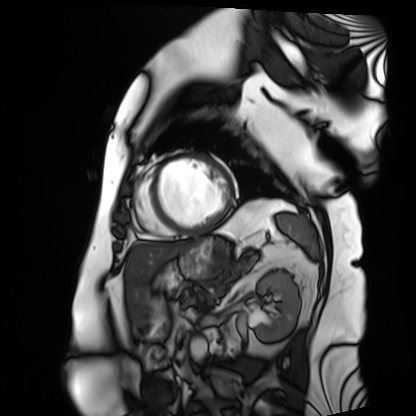
Cardiac MRI. Subject group: patient.